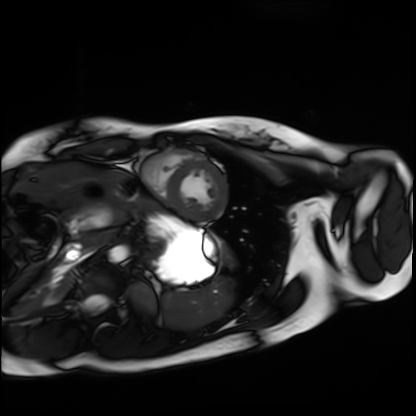
Cardiac MRI. Subject group: healthy volunteer.